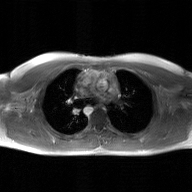
2D phase-contrast cine MRI of the ascending aorta, GAN super-resolution reconstruction.